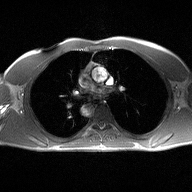
Case:
• modality · 2D phase-contrast cine MRI of the ascending aorta